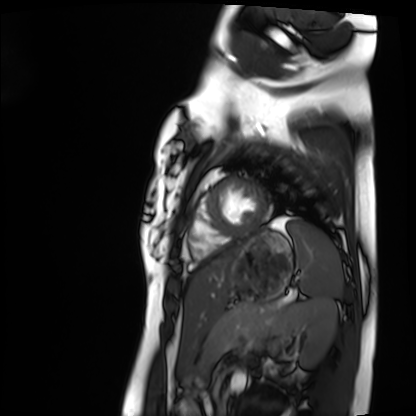
Cardiac MRI. Subject group: healthy volunteer.